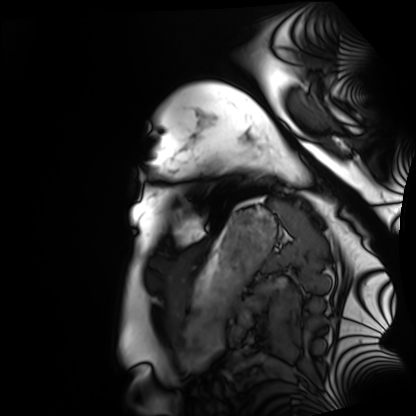
Cardiac MRI. Subject group: healthy volunteer.